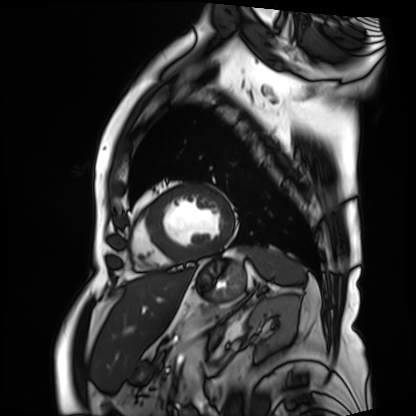
Cardiac MRI. Subject group: patient.